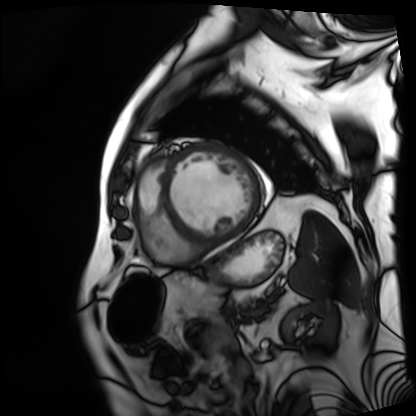
Cardiac MRI. Subject group: patient.